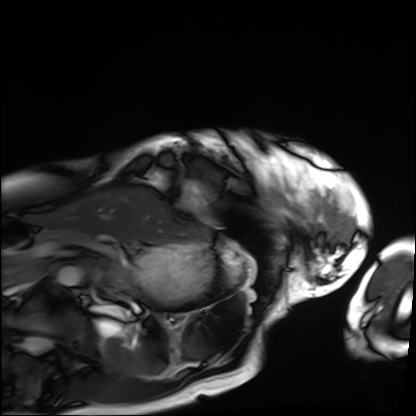
Case summary:
Cardiac MRI. Subject group: patient.